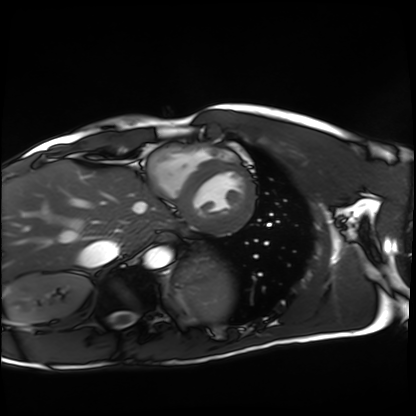
{"modality": "cardiac MRI", "cohort": "healthy volunteer"}